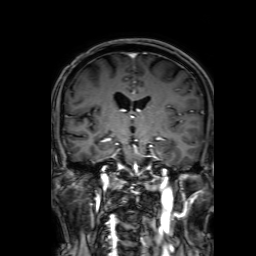
<study>
<modality>
  <type>brain MRI</type>
  <field_strength>3T</field_strength>
</modality>
<study_topic>ring-enhancing brain masses</study_topic>
</study>